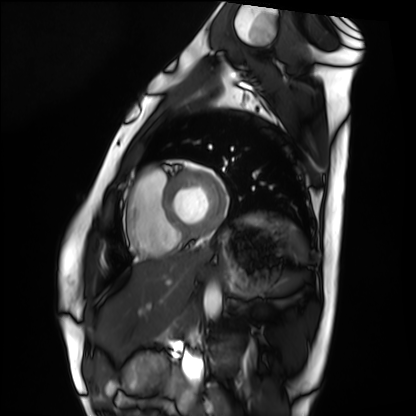
modality = cardiac MRI
subject group = healthy volunteer